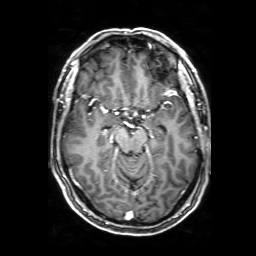
3 Tesla brain MRI.
Series: 3D T1-weighted with SENSE.
Study: ring-enhancing brain masses.